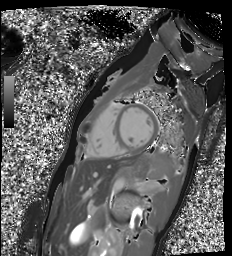
Cardiac MR image of the myocardium. Subject cohort: healthy volunteer.